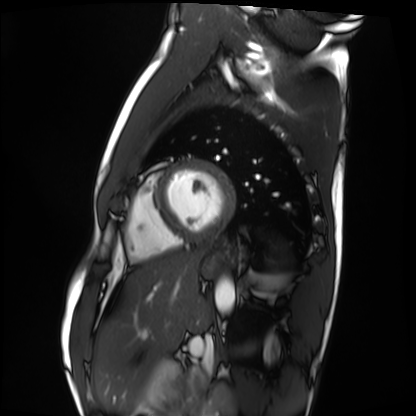
Case summary:
Cardiac MRI. Subject group: healthy volunteer.